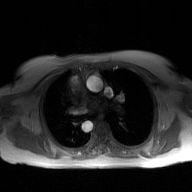
2D phase-contrast cine MRI of the ascending aorta, GAN super-resolution reconstruction.